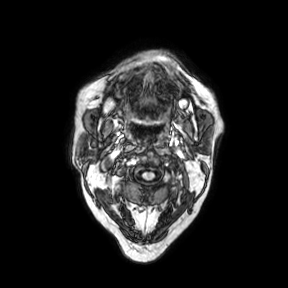
modality — 3 Tesla brain MRI; series — axial; study — ring-enhancing brain masses.